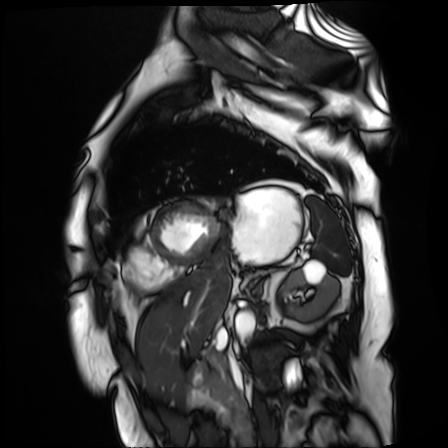
{
  "modality": "cardiac MR image of the myocardium",
  "cohort": "cardiac patient"
}